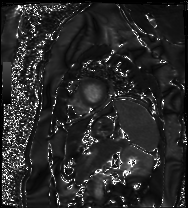
Cardiac MRI.
Subject group: patient.